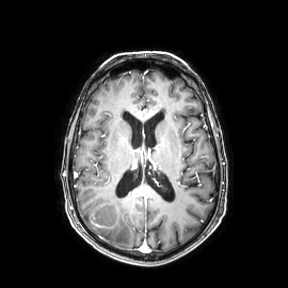
Summary:
3 Tesla brain MRI. Series: axial. Study: ring-enhancing brain masses.